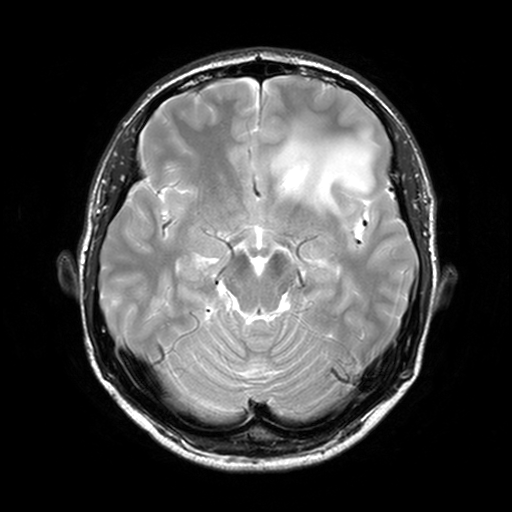
Q: What kind of scan is this?
A: 3 Tesla brain MRI.
Q: Series?
A: T2-weighted turbo spin echo, 3 mm.
Study: ring-enhancing brain masses.